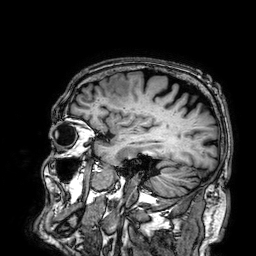
| field | value |
|---|---|
| modality | 3 Tesla brain MRI |
| series | 3D T1-weighted |
| study | ring-enhancing brain masses |